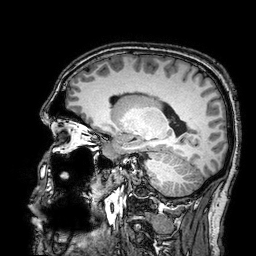
| field | value |
|---|---|
| modality | 3 Tesla brain MRI |
| series | 3D T1-weighted turbo field echo with SENSE |
| study | ring-enhancing brain masses |